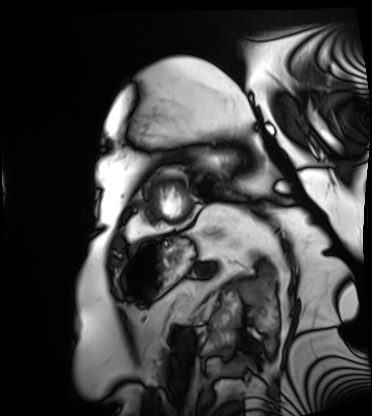
Case summary:
Cardiac MRI. Subject group: patient.